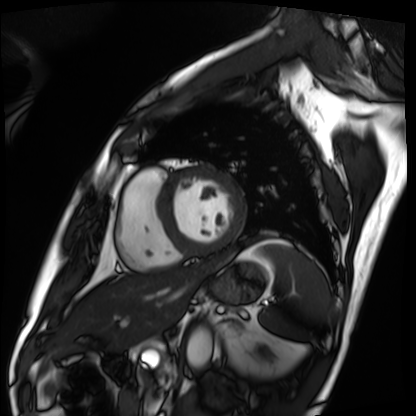
modality = cardiac MRI; subject group = patient.